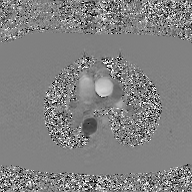
2D phase-contrast cine MRI of the ascending aorta, GAN super-resolution reconstruction.